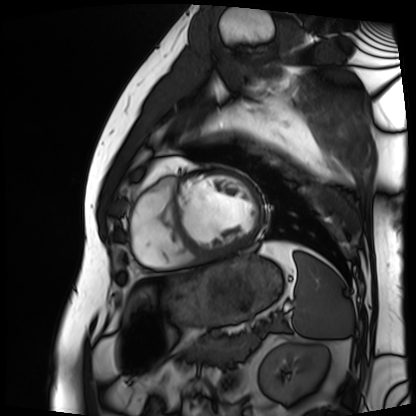
Cardiac MRI. Subject group: patient.